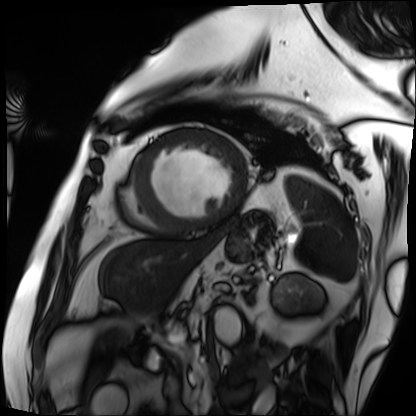
modality: cardiac MRI | subject group: patient.